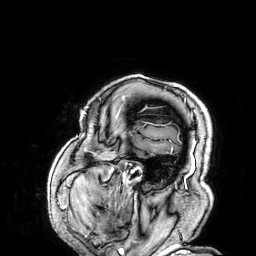
| field | value |
|---|---|
| modality | 3 Tesla brain MRI |
| series | 3D T1-weighted |
| study | ring-enhancing brain masses |